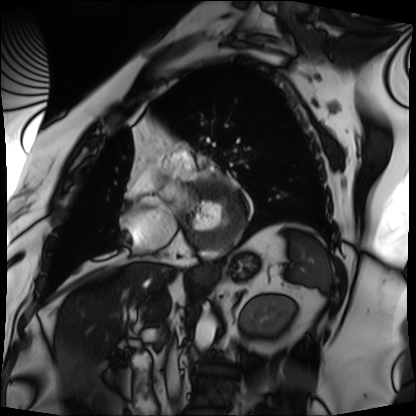
• modality — cardiac MRI
• subject group — patient